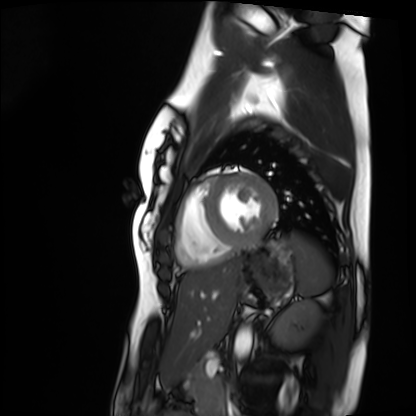
Summary: Cardiac MRI. Subject group: healthy volunteer.